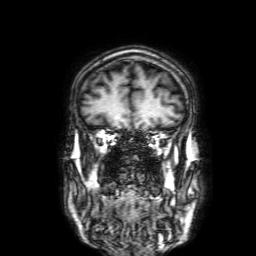
<scan>
  <modality>
    <type>brain MRI</type>
    <field_strength>3T</field_strength>
  </modality>
  <series>3D T1-weighted with SENSE</series>
  <study_topic>ring-enhancing brain masses</study_topic>
</scan>